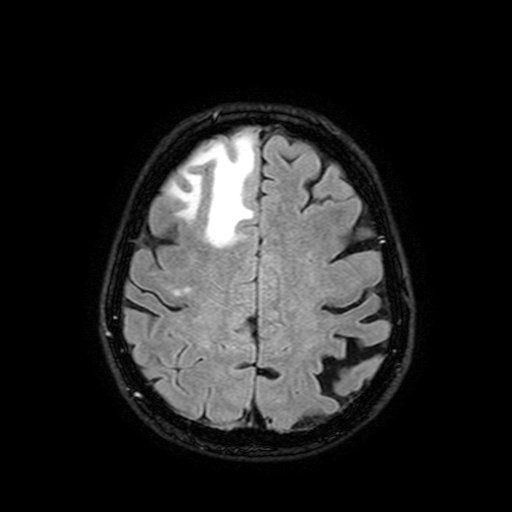
3 Tesla brain MRI. Study: ring-enhancing brain masses.